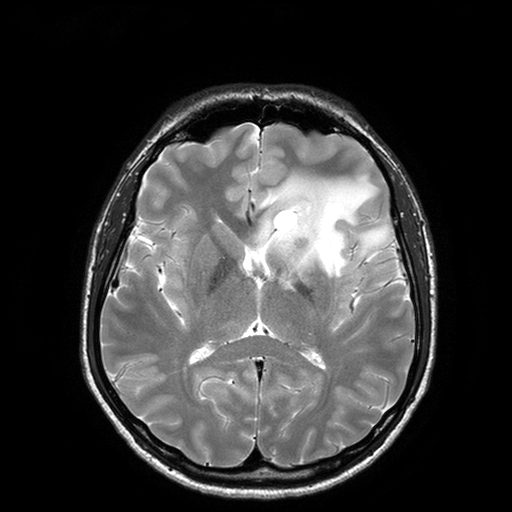
<study>
  <modality>
    <type>brain MRI</type>
    <field_strength>3T</field_strength>
  </modality>
  <series>T2-weighted turbo spin echo with SENSE</series>
  <study_topic>ring-enhancing brain masses</study_topic>
</study>